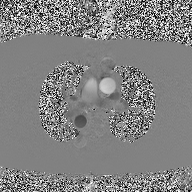
modality: 2D phase-contrast cine MRI of the ascending aorta.